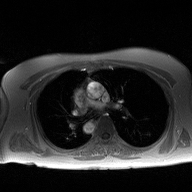
Q: What kind of scan is this?
A: 2D phase-contrast cine MRI of the ascending aorta.